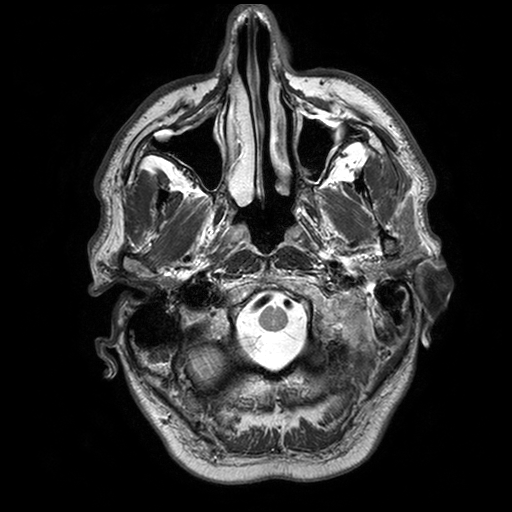
Clinical context: 3 Tesla brain MRI. Series: T2-weighted turbo spin echo with SENSE. Study: ring-enhancing brain masses.